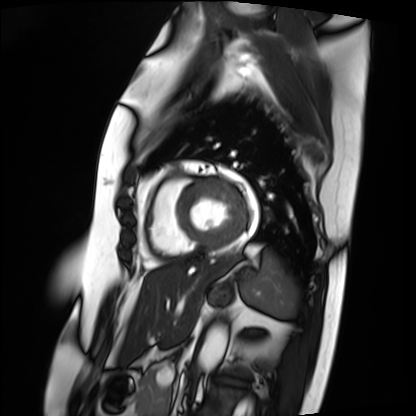
- modality · cardiac MRI
- subject group · patient